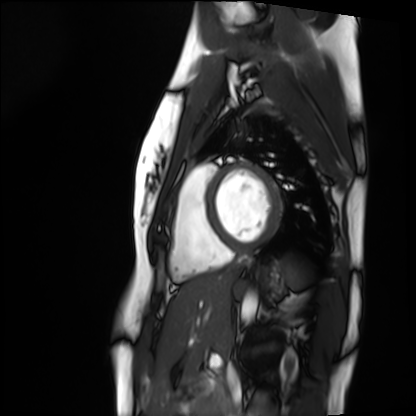
- modality — cardiac MRI
- subject group — healthy volunteer